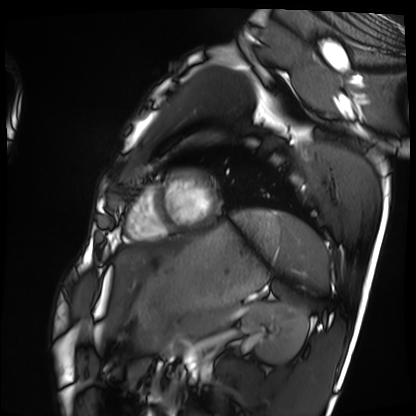
Case summary:
Cardiac MRI. Subject group: healthy volunteer.